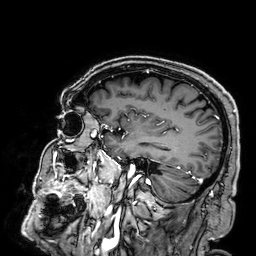
Clinical context: 3 Tesla brain MRI. Series: 3D T1-weighted. Study: ring-enhancing brain masses.